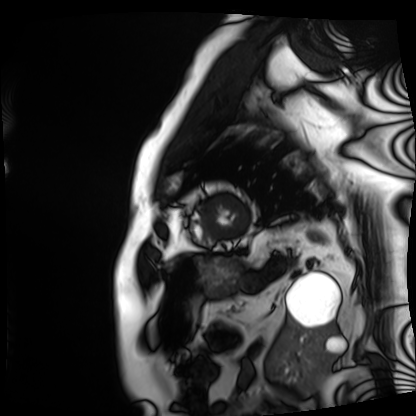
Summary:
Cardiac MRI. Subject group: patient.